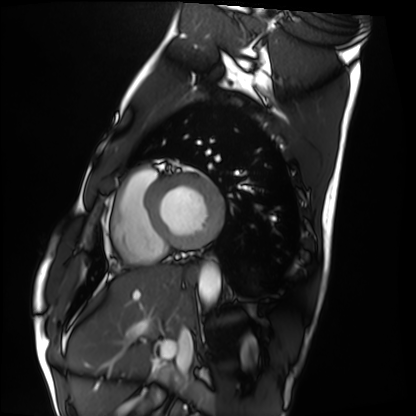
modality: cardiac MRI; subject group: healthy volunteer.